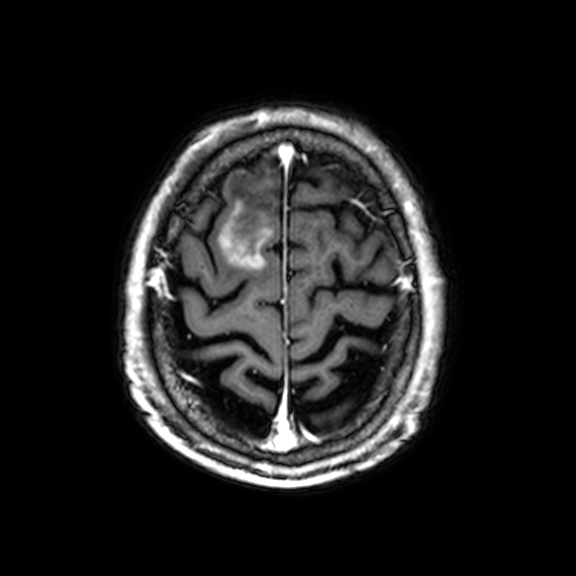
3 Tesla brain MRI. Series: 3D T1-weighted with CLEAR. Study: ring-enhancing brain masses.